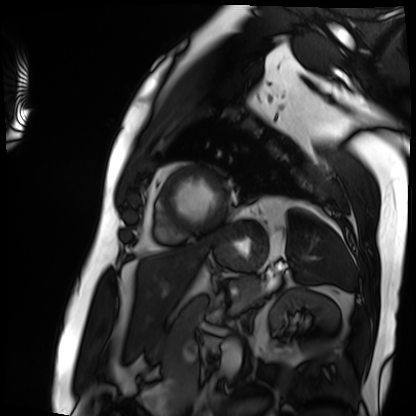
Cardiac MRI. Subject group: patient.